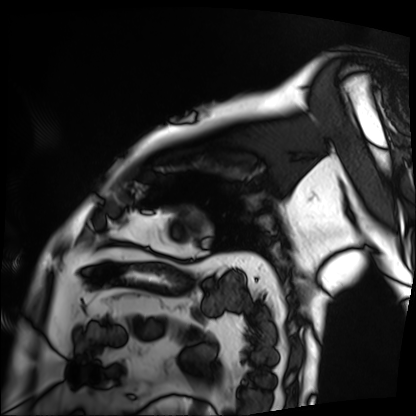
modality: cardiac MRI | subject group: patient.